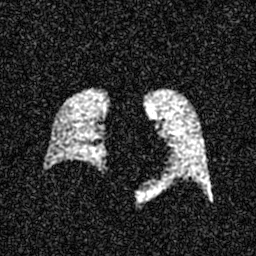
modality: hyperpolarized 129Xe ventilation MRI of the lungs
SNR level: 5 of 8 (the deposit holds this scan as its native image and as seven SNR-degraded versions)